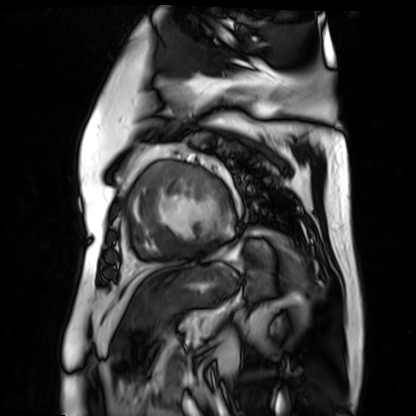
Case summary:
Cardiac MR image of the myocardium. Subject cohort: cardiac patient.